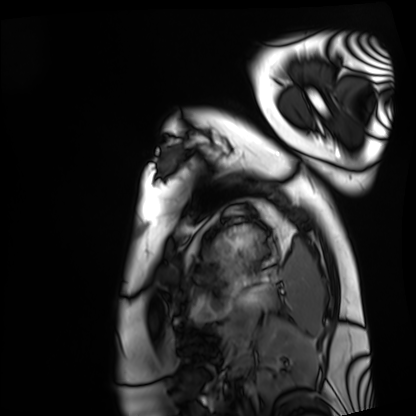
Cardiac MRI. Subject group: healthy volunteer.